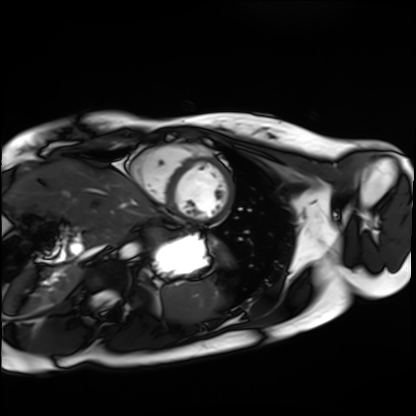
Summary:
Cardiac MRI. Subject group: healthy volunteer.